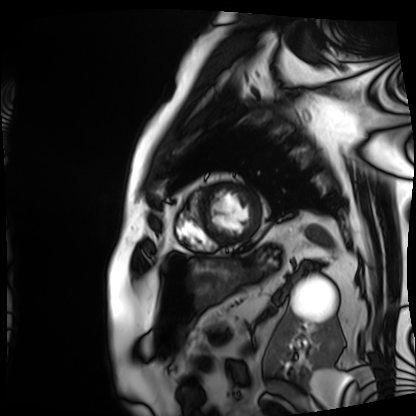
<record>
<modality>cardiac MRI</modality>
<cohort>patient</cohort>
</record>